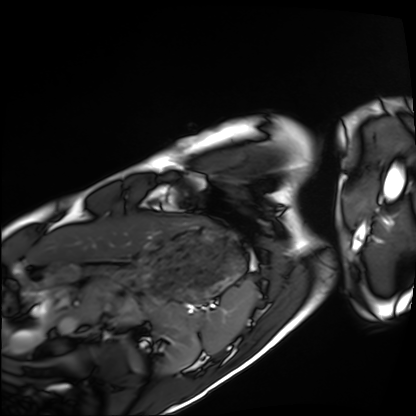
  modality: cardiac MRI
  cohort: healthy volunteer